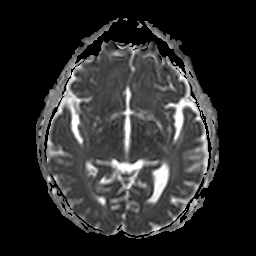
3 Tesla brain MRI. Series: apparent diffusion coefficient (ADC) map. Study: ring-enhancing brain masses.